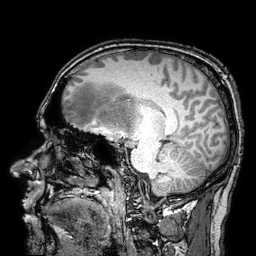
  modality:
    type: brain MRI
    field_strength: 3T
  series: 3D T1-weighted turbo field echo with SENSE
  study_topic: ring-enhancing brain masses